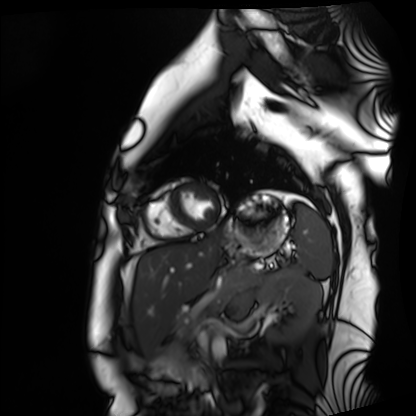
Case summary:
Cardiac MRI. Subject group: healthy volunteer.